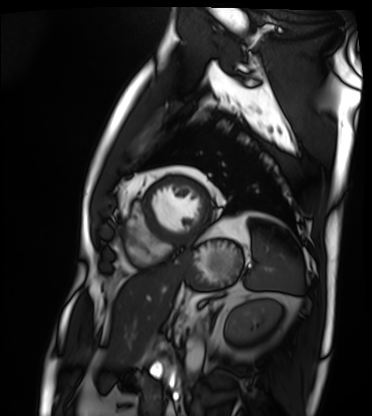
– modality · cardiac MRI
– subject group · patient